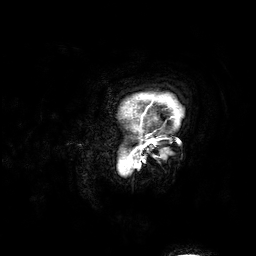
Q: What kind of scan is this?
A: 3 Tesla brain MRI.
Q: Series?
A: 3D T1-weighted.
Study: ring-enhancing brain masses.